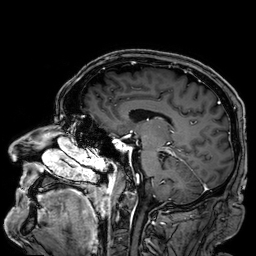
3 Tesla brain MRI. Series: 3D T1-weighted. Study: ring-enhancing brain masses.